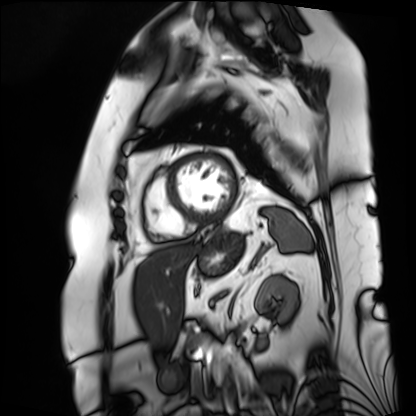
modality: cardiac MRI, subject group: patient.